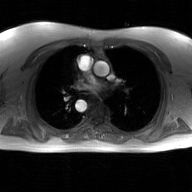
2D phase-contrast cine MRI of the ascending aorta, GAN super-resolution reconstruction.